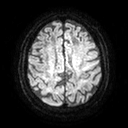
modality=3 Tesla brain MRI | series=diffusion tensor imaging (medium iso) | study=ring-enhancing brain masses.